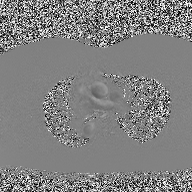
Case summary: 2D phase-contrast cine MRI of the ascending aorta, high-resolution GRAPPA acquisition.